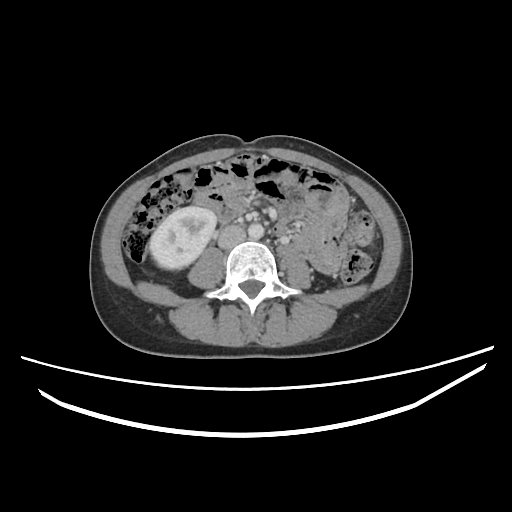
{"modality": {"type": "multiphase abdominal CT", "region": "liver", "phase": "portal venous"}, "patient": {"sex": "female", "age": 38}}